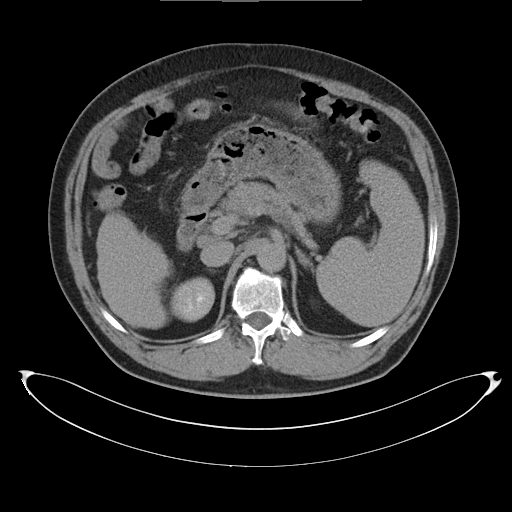
modality:
  type: multiphase abdominal CT
  region: liver
  phase: delayed
patient:
  sex: male
  age: 58